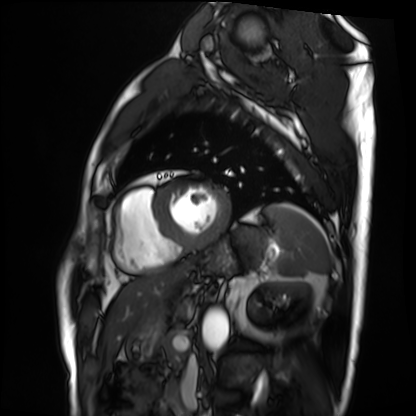
Q: What kind of scan is this?
A: Cardiac MRI.
Subject group: patient.